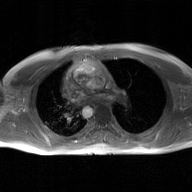
Clinical context:
2D phase-contrast cine MRI of the ascending aorta, GAN super-resolution reconstruction.